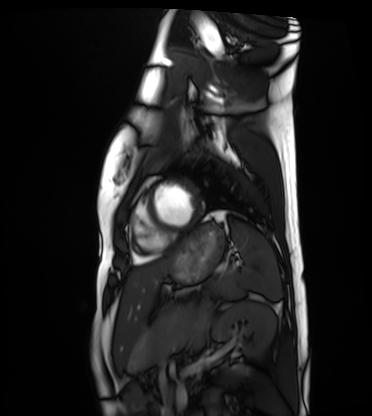
Summary:
Cardiac MRI. Subject group: healthy volunteer.